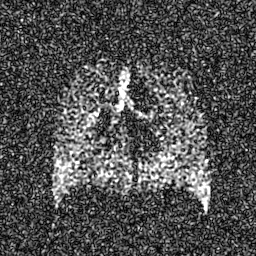
Summary: Hyperpolarized 129Xe ventilation MRI of the lungs. SNR level 7 of 8 (the deposit holds this scan as its native image and as seven SNR-degraded versions).